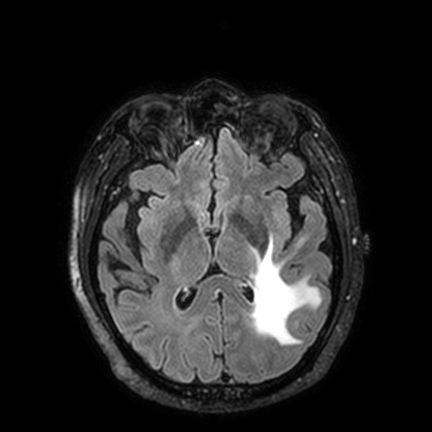
Case summary: 3 Tesla brain MRI. Series: FLAIR VISTA with SENSE. Study: ring-enhancing brain masses.